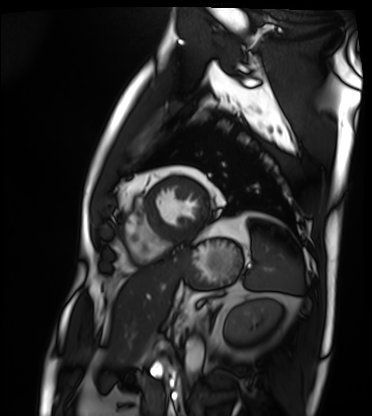
Cardiac MRI. Subject group: patient.